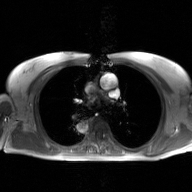
{"modality": {"type": "2D phase-contrast cine MRI", "region": "ascending aorta", "reconstruction": "GAN super-resolution reconstruction"}}